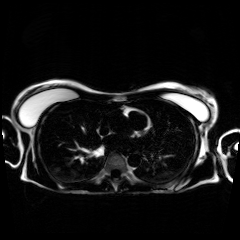
Clinical context: Chemical-shift-encoded cardiac MRI.